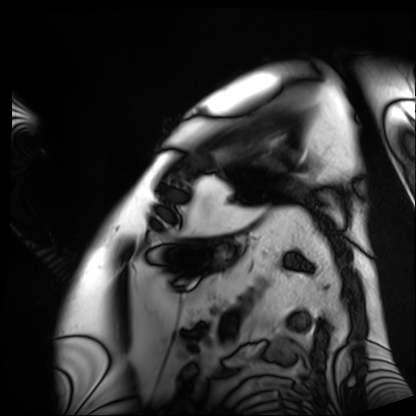
{
  "modality": "cardiac MRI",
  "cohort": "patient"
}